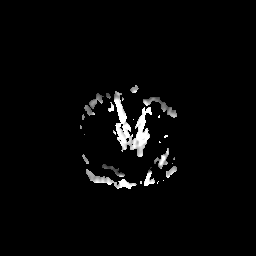
{"modality": {"type": "brain MRI", "field_strength": "3T"}, "series": "apparent diffusion coefficient (ADC) map", "study_topic": "ring-enhancing brain masses"}